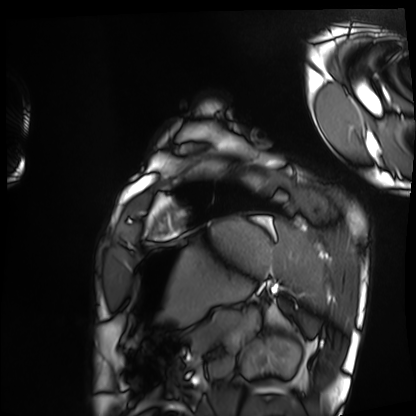
Clinical context: Cardiac MRI. Subject group: healthy volunteer.